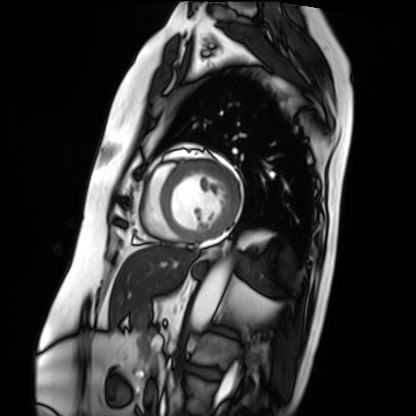
modality = cardiac MRI
subject group = patient